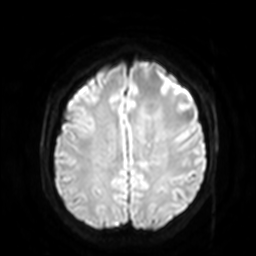
Case summary: 3 Tesla brain MRI. Series: diffusion-weighted imaging with SENSE (WIP). Study: ring-enhancing brain masses.